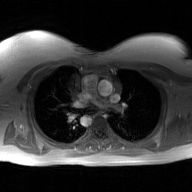
Clinical context: 2D phase-contrast cine MRI of the ascending aorta, GAN super-resolution reconstruction.